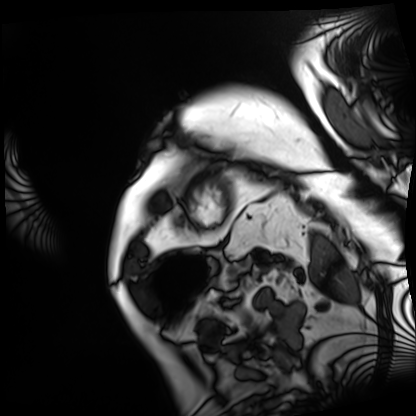
Cardiac MRI. Subject group: patient.